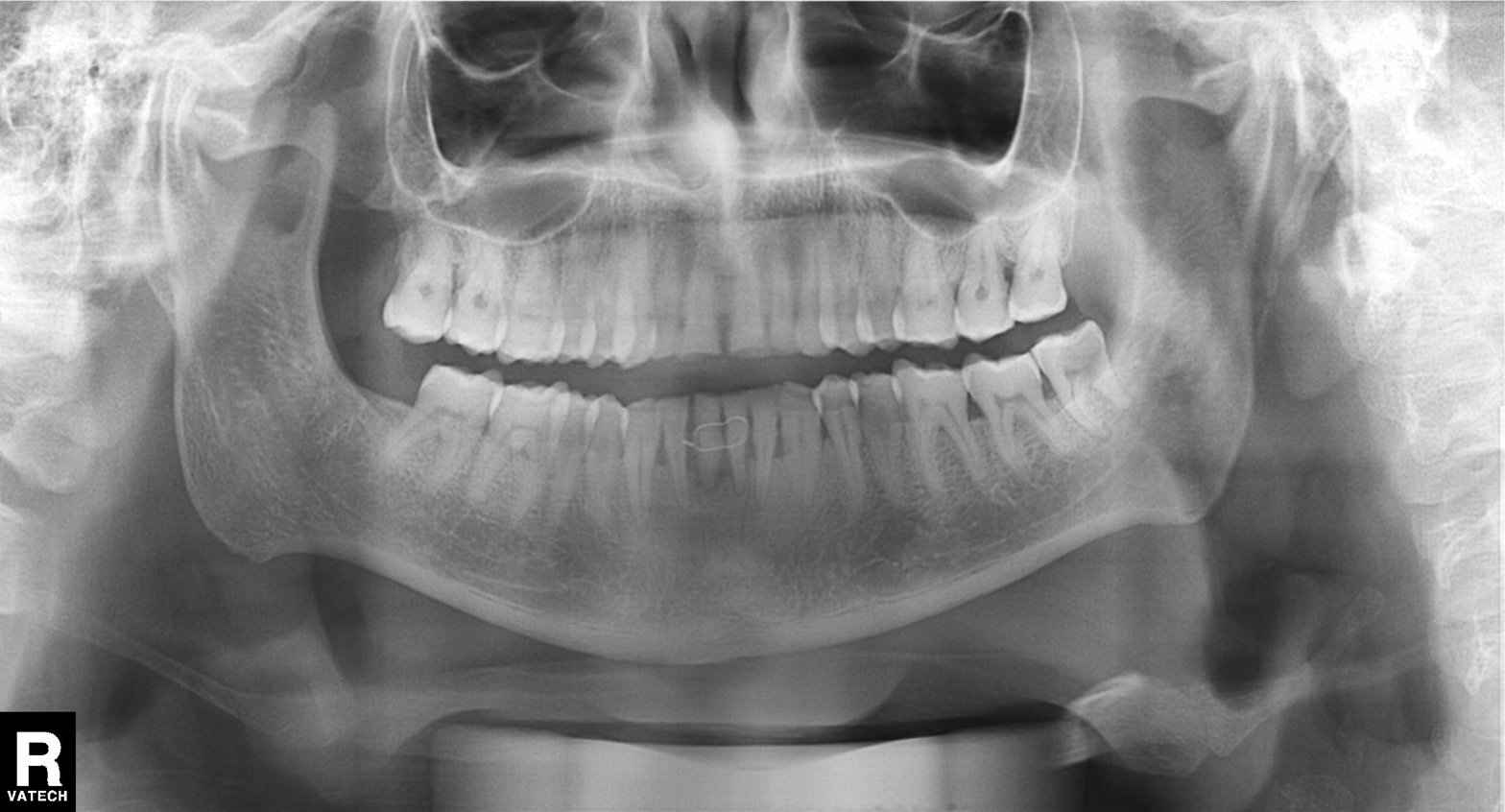
Summary: Panoramic dental radiograph (orthopantomogram).
Diagnosis: Dental caries (cavities).